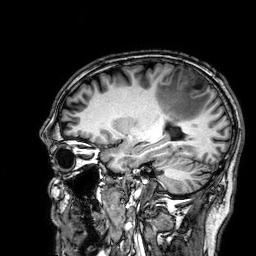
Clinical context:
3 Tesla brain MRI. Series: 3D T1-weighted. Study: ring-enhancing brain masses.